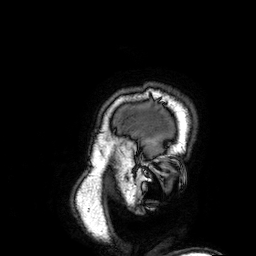
Case:
• modality — 3 Tesla brain MRI
• series — 3D T1-weighted
• study — ring-enhancing brain masses